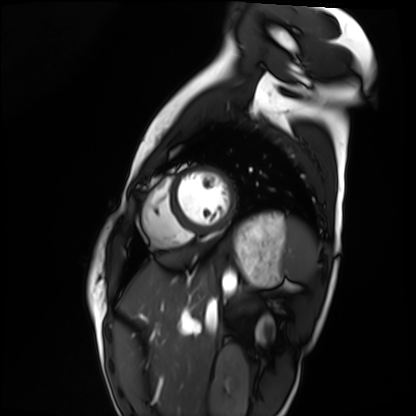
Cardiac MRI.
Subject group: healthy volunteer.